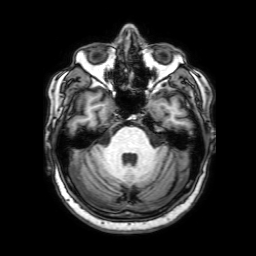
Case:
* modality — 3 Tesla brain MRI
* series — 3D T1-weighted with SENSE
* study — ring-enhancing brain masses